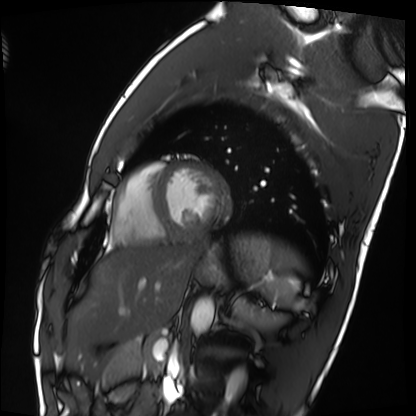
• modality: cardiac MRI
• subject group: healthy volunteer